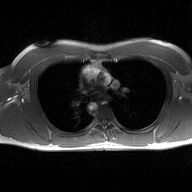
2D phase-contrast cine MRI of the ascending aorta, high-resolution GRAPPA acquisition.